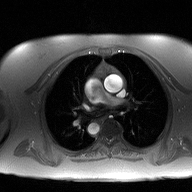
2D phase-contrast cine MRI of the ascending aorta, high-resolution GRAPPA acquisition.